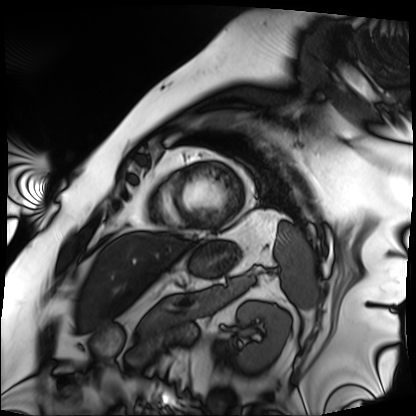
Cardiac MRI. Subject group: patient.